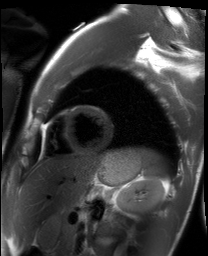
Q: What kind of scan is this?
A: Cardiac MRI.
Subject group: healthy volunteer.